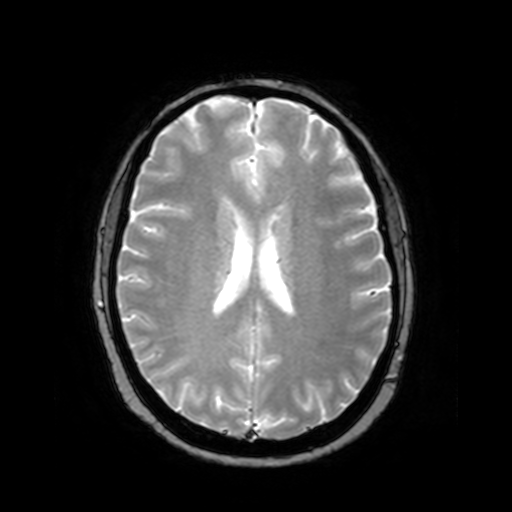
<scan>
  <modality>
    <type>brain MRI</type>
    <field_strength>3T</field_strength>
  </modality>
  <series>T2-weighted fast field echo</series>
  <study_topic>ring-enhancing brain masses</study_topic>
</scan>